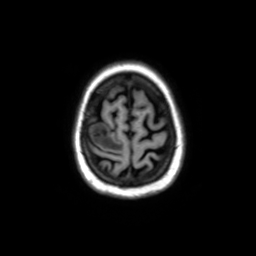
{"modality": {"type": "brain MRI", "field_strength": "3T"}, "series": "axial without contrast", "study_topic": "ring-enhancing brain masses"}